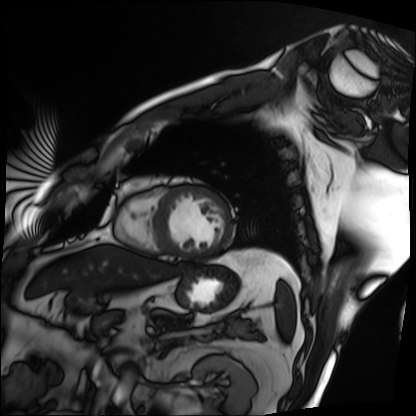
Summary:
Cardiac MRI. Subject group: patient.